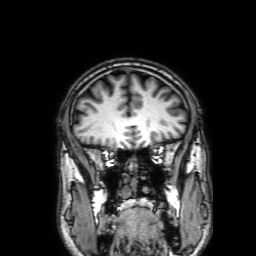
Clinical context: 3 Tesla brain MRI. Series: 3D T1-weighted with SENSE. Study: ring-enhancing brain masses.